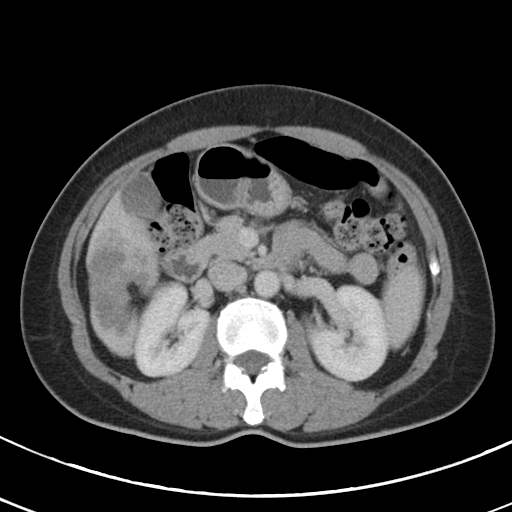
Multiphase abdominal CT, liver, portal venous phase.
Patient: female, age 44.